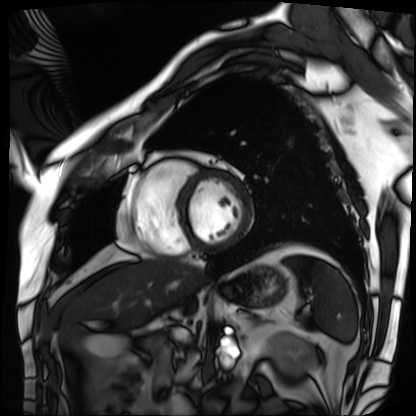
modality = cardiac MRI, subject group = patient.